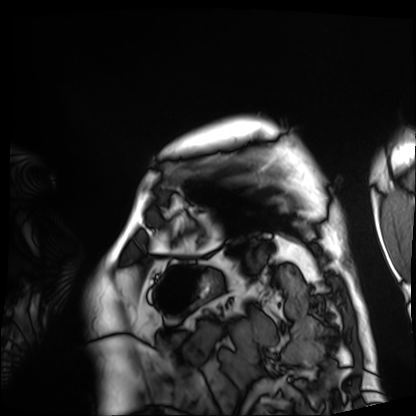
  modality: cardiac MRI
  cohort: patient